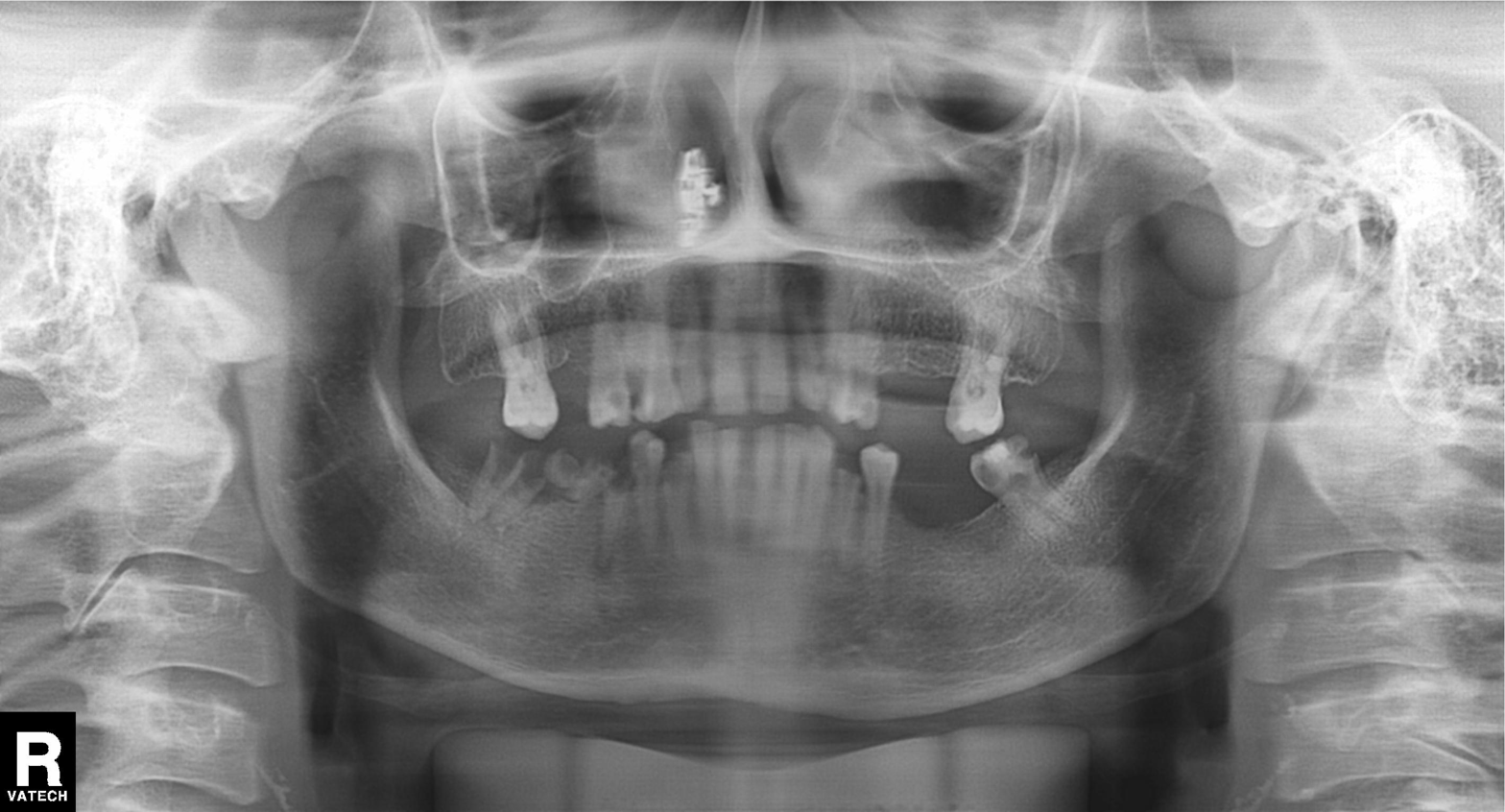
Panoramic dental radiograph (orthopantomogram). Finding: tooth impaction.